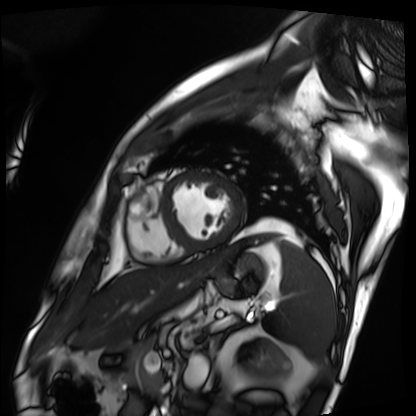
Summary:
Cardiac MRI. Subject group: patient.